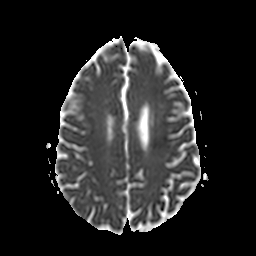
modality = 3 Tesla brain MRI; series = apparent diffusion coefficient (ADC) map; study = ring-enhancing brain masses.